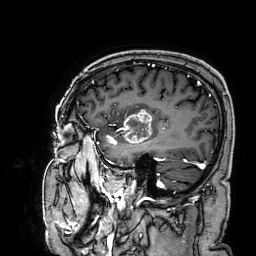
3 Tesla brain MRI.
Series: 3D T1-weighted.
Study: ring-enhancing brain masses.